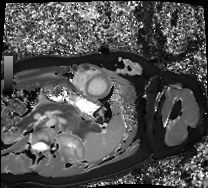
{
  "modality": "cardiac MRI",
  "cohort": "healthy volunteer"
}